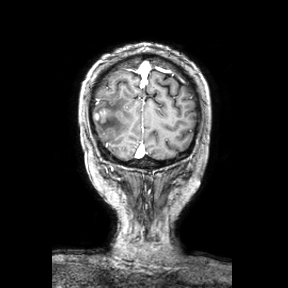
Case summary: 3 Tesla brain MRI. Series: coronal. Study: ring-enhancing brain masses.